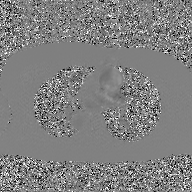
<case>
  <modality>
    <type>2D phase-contrast cine MRI</type>
    <region>ascending aorta</region>
    <reconstruction>GAN super-resolution reconstruction</reconstruction>
  </modality>
</case>